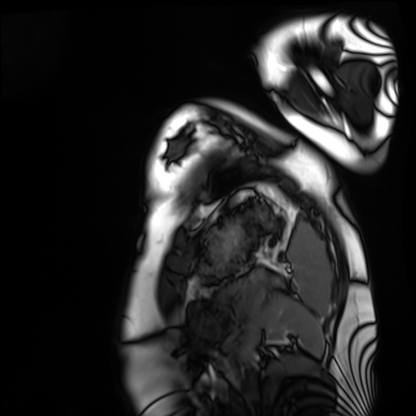
– modality · cardiac MRI
– subject group · healthy volunteer